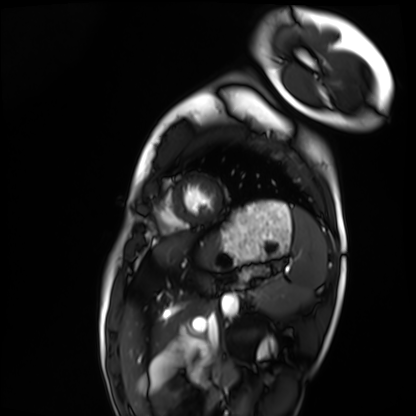
Summary: Cardiac MRI. Subject group: healthy volunteer.